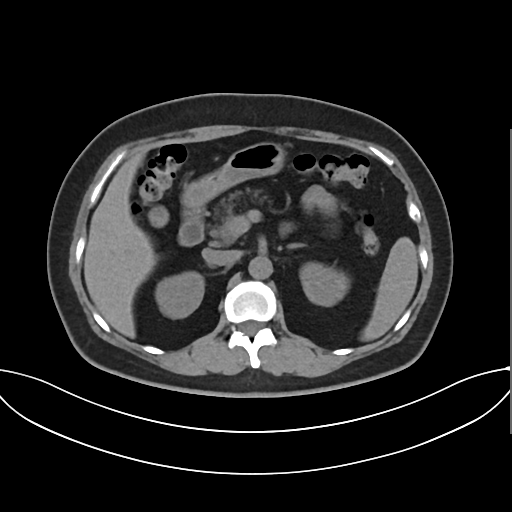
Multiphase abdominal CT, liver, non-contrast phase. Patient: female, age 58.